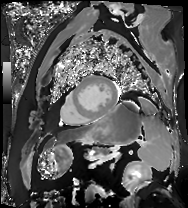
Cardiac MR image of the myocardium. Subject cohort: cardiac patient.